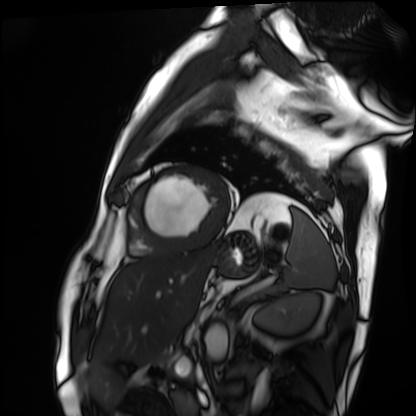
Clinical context: Cardiac MRI. Subject group: patient.